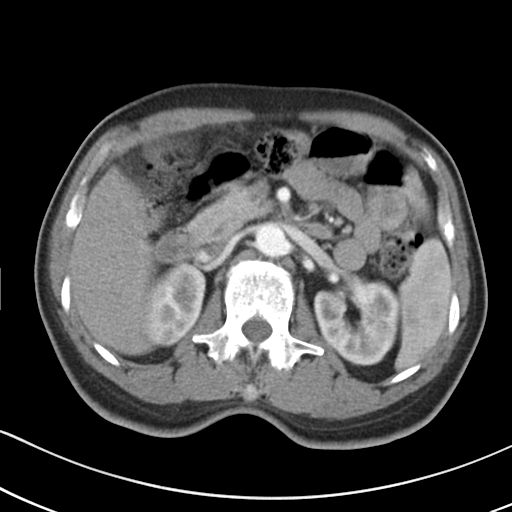
Summary:
Multiphase abdominal CT, liver, arterial phase. Patient: male, age 56. History: cirrhosis, viral hepatitis.